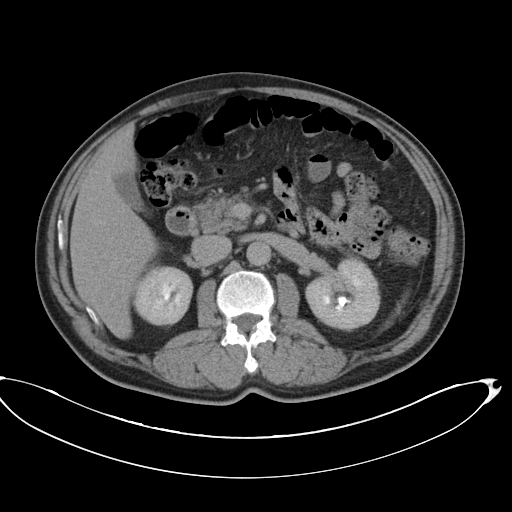
  modality:
    type: multiphase abdominal CT
    region: liver
    phase: delayed